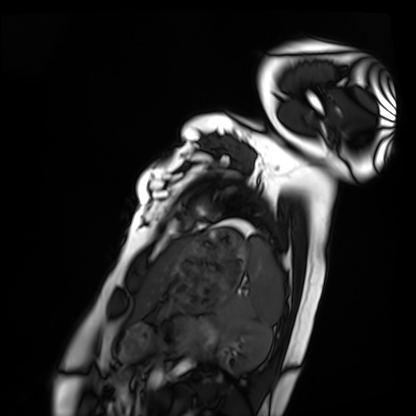
Clinical context: Cardiac MRI. Subject group: healthy volunteer.